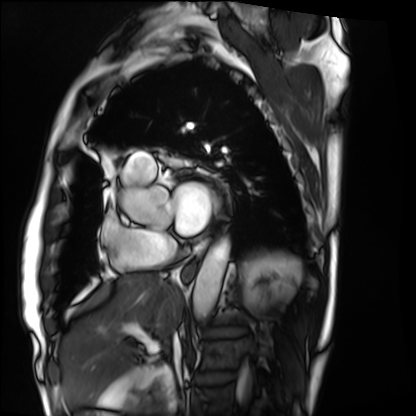
<study>
<modality>cardiac MRI</modality>
<cohort>patient</cohort>
</study>